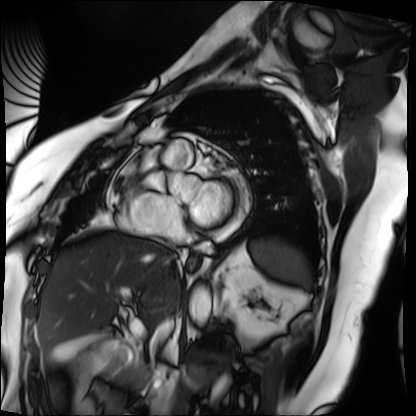
Case summary: Cardiac MRI. Subject group: patient.